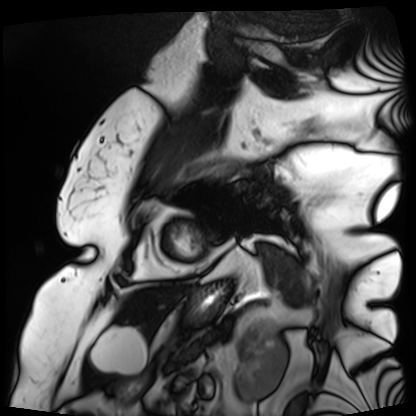
Cardiac MRI. Subject group: patient.